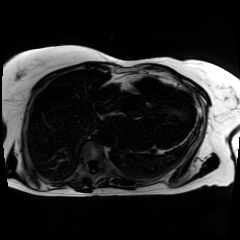
Chemical-shift-encoded cardiac MRI.